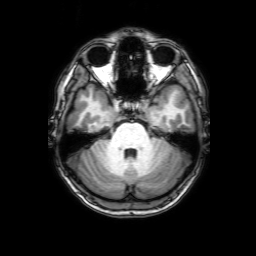
<case>
  <modality>
    <type>brain MRI</type>
    <field_strength>3T</field_strength>
  </modality>
  <series>3D T1-weighted with SENSE</series>
  <study_topic>ring-enhancing brain masses</study_topic>
</case>